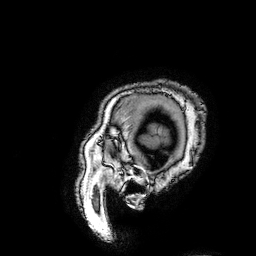
  modality:
    type: brain MRI
    field_strength: 3T
  series: 3D T1-weighted turbo field echo with SENSE
  study_topic: ring-enhancing brain masses